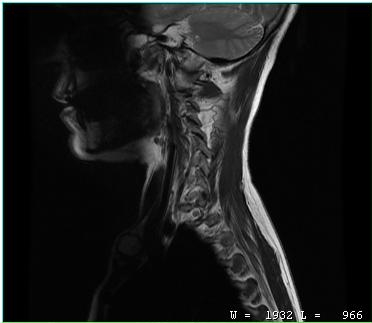
Case:
- modality · MRI of the cervical spine
- study · cervical spondylosis